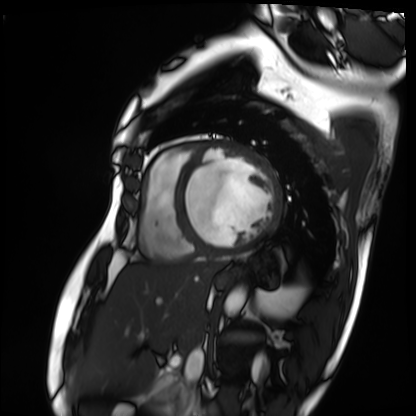
modality = cardiac MRI
subject group = patient